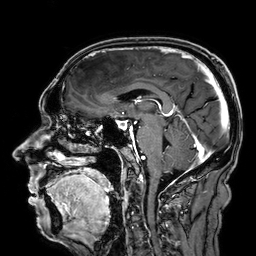
{"modality": {"type": "brain MRI", "field_strength": "3T"}, "series": "3D T1-weighted", "study_topic": "ring-enhancing brain masses"}